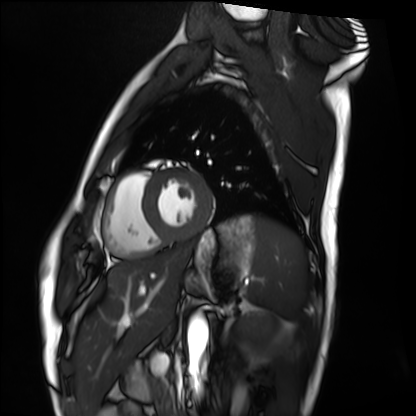
{"modality": "cardiac MRI", "cohort": "healthy volunteer"}